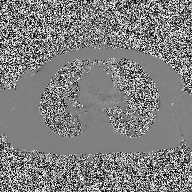
2D phase-contrast cine MRI of the ascending aorta, high-resolution GRAPPA acquisition.